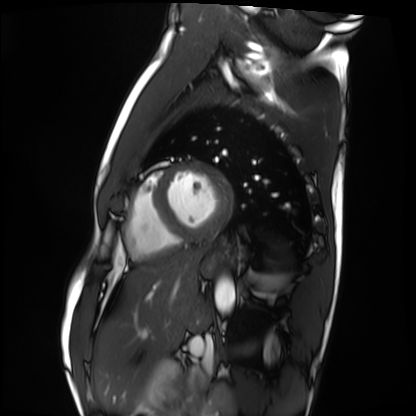
Case:
- modality · cardiac MRI
- subject group · healthy volunteer